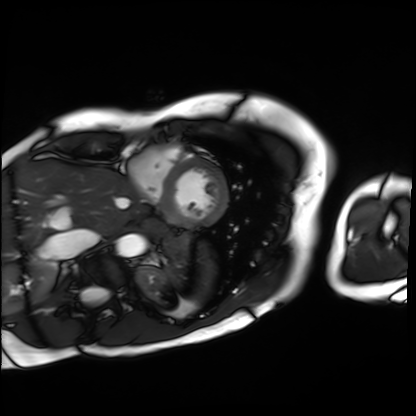
Cardiac MRI. Subject group: patient.